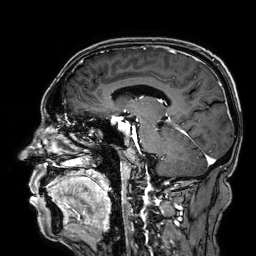
3 Tesla brain MRI. Series: 3D T1-weighted. Study: ring-enhancing brain masses.